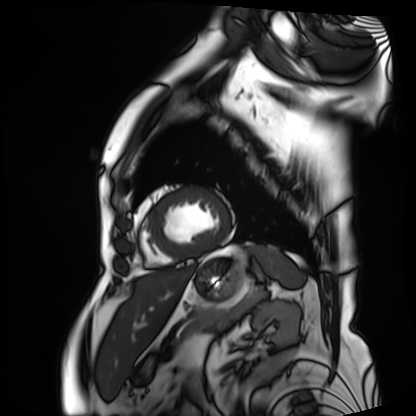
Cardiac MRI. Subject group: patient.